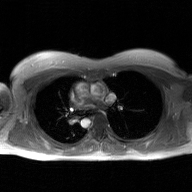
2D phase-contrast cine MRI of the ascending aorta, GAN super-resolution reconstruction.